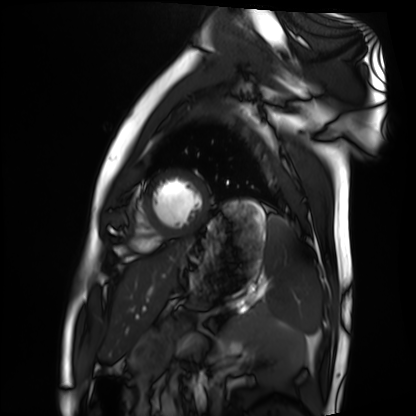
modality — cardiac MRI; subject group — healthy volunteer.